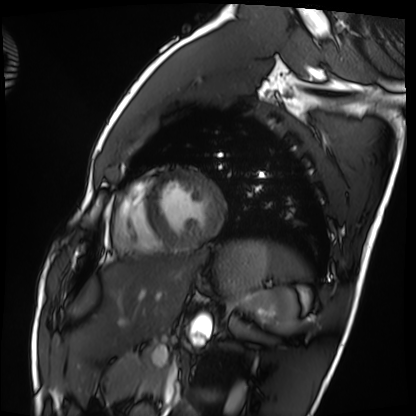
{"modality": "cardiac MRI", "cohort": "healthy volunteer"}